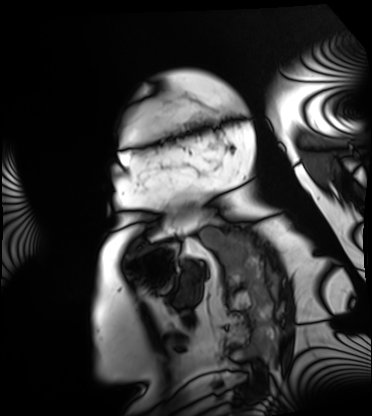
Cardiac MRI.
Subject group: patient.